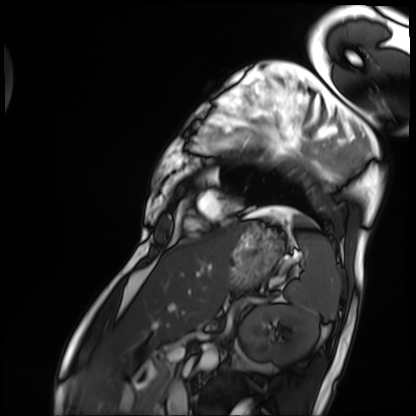
Case summary: Cardiac MRI. Subject group: patient.